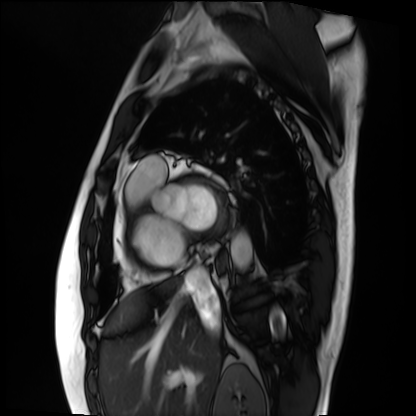
modality=cardiac MRI | subject group=patient.